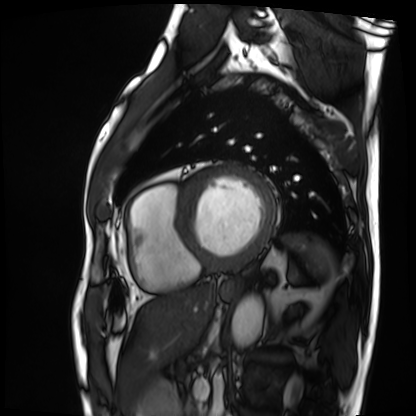
– modality — cardiac MRI
– subject group — patient